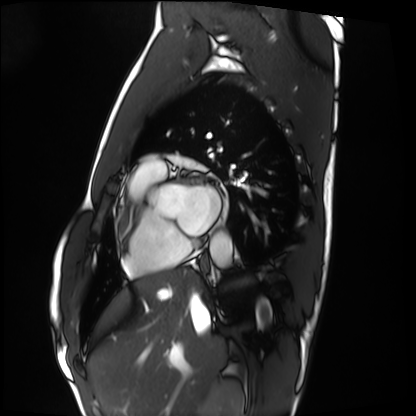
Cardiac MRI. Subject group: healthy volunteer.